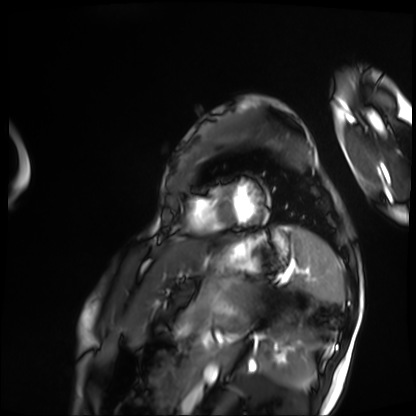
Clinical context:
Cardiac MRI. Subject group: patient.